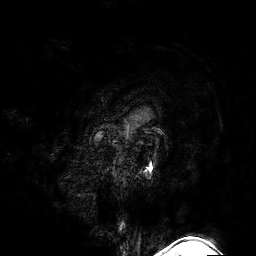
- modality · 3 Tesla brain MRI
- series · 3D T1-weighted turbo field echo with SENSE
- study · ring-enhancing brain masses